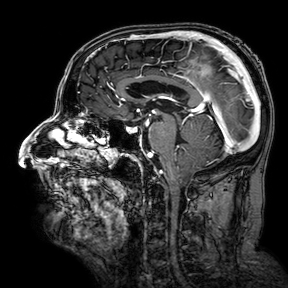
<record>
<modality>
  <type>brain MRI</type>
  <field_strength>3T</field_strength>
</modality>
<series>3D T1-weighted turbo field echo with SENSE</series>
<study_topic>ring-enhancing brain masses</study_topic>
</record>